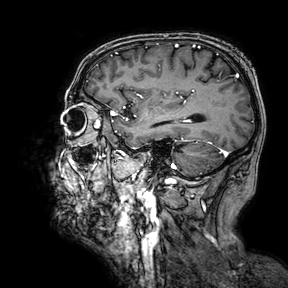
  modality:
    type: brain MRI
    field_strength: 3T
  series: 3D T1-weighted turbo field echo with SENSE
  study_topic: ring-enhancing brain masses